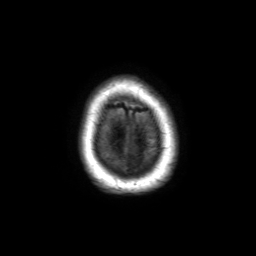
3 Tesla brain MRI. Series: 3D T1-weighted TFE with SENSE. Study: ring-enhancing brain masses.